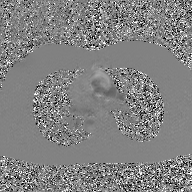
2D phase-contrast cine MRI of the ascending aorta, GAN super-resolution reconstruction.